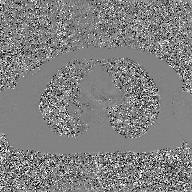
| field | value |
|---|---|
| modality | 2D phase-contrast cine MRI of the ascending aorta, GAN super-resolution reconstruction |